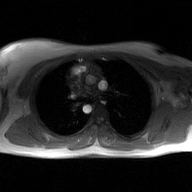
Q: What kind of scan is this?
A: 2D phase-contrast cine MRI of the ascending aorta, GAN super-resolution reconstruction.